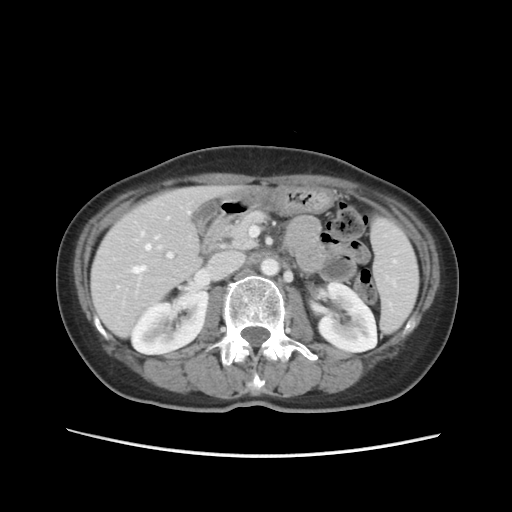
Multiphase abdominal CT, liver, portal venous phase.
Patient: female, age 55.